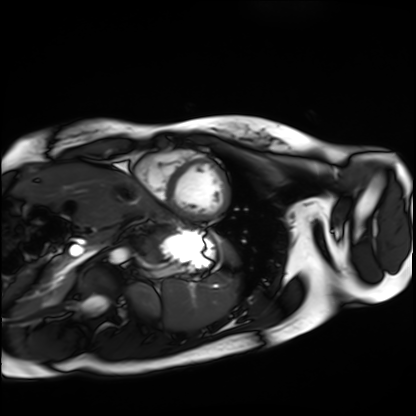
modality: cardiac MRI | subject group: healthy volunteer.